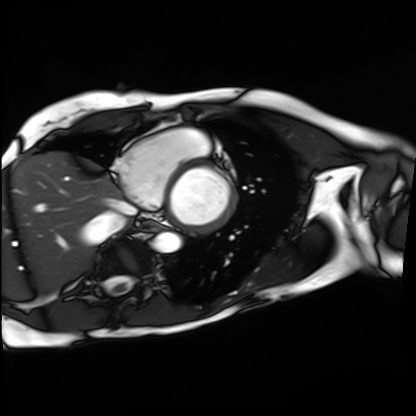
modality — cardiac MRI; subject group — patient.